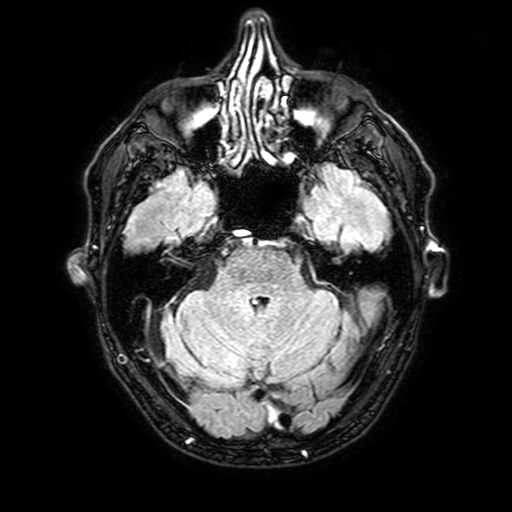
Case:
- modality: 3 Tesla brain MRI
- series: FLAIR with SPAIR, 3 mm
- study: ring-enhancing brain masses